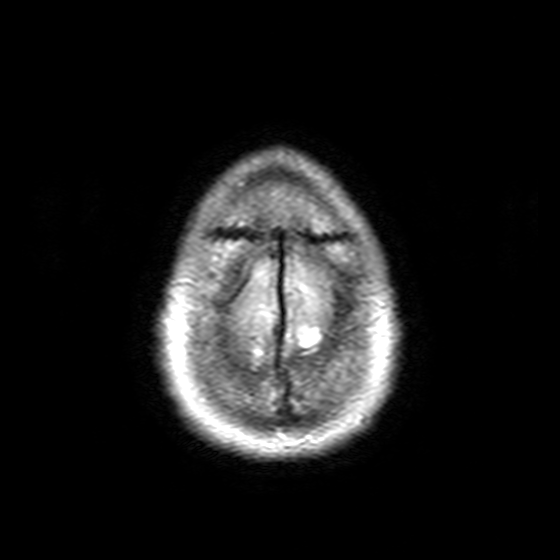
– modality: 3 Tesla brain MRI
– study: ring-enhancing brain masses